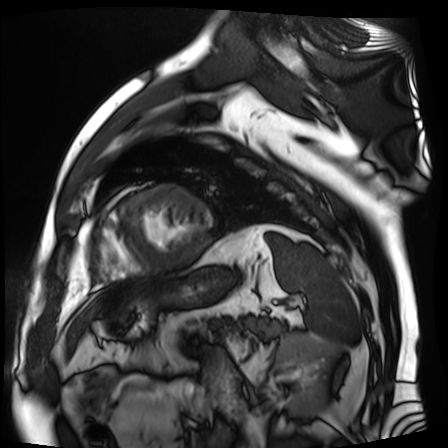
Case summary:
Cardiac MR image of the myocardium. Subject cohort: cardiac patient.